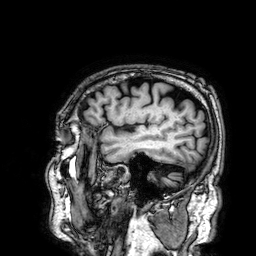
3 Tesla brain MRI. Series: 3D T1-weighted. Study: ring-enhancing brain masses.